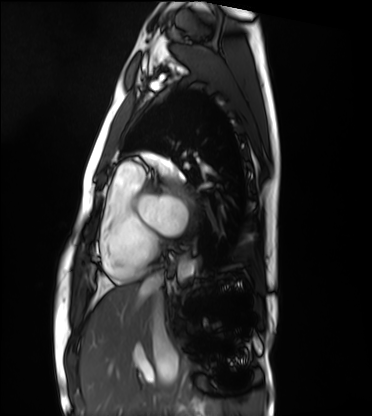
Cardiac MRI. Subject group: healthy volunteer.